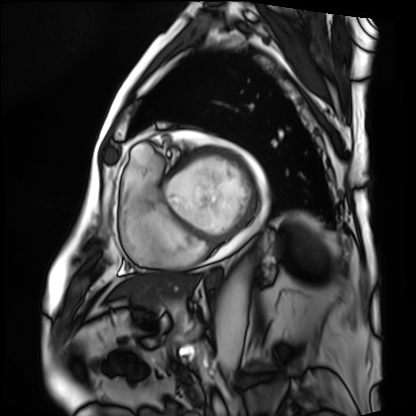
Cardiac MRI. Subject group: patient.